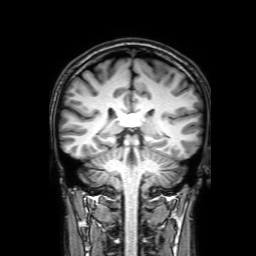
3 Tesla brain MRI.
Series: 3D T1-weighted with SENSE.
Study: ring-enhancing brain masses.